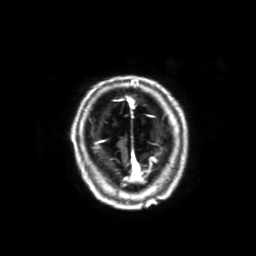
{
  "modality": {
    "type": "brain MRI",
    "field_strength": "3T"
  },
  "series": "3D T1-weighted with SENSE",
  "study_topic": "ring-enhancing brain masses"
}